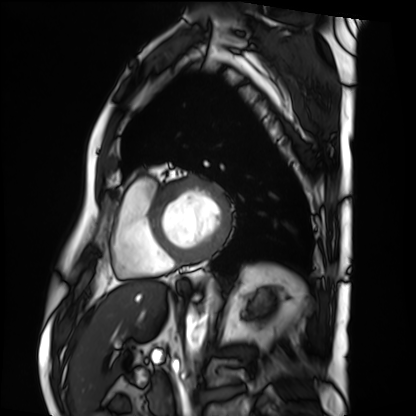
Cardiac MRI. Subject group: patient.